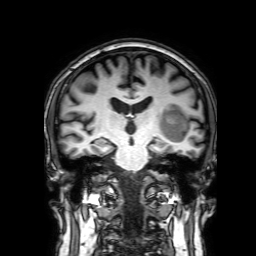
Q: What kind of scan is this?
A: 3 Tesla brain MRI.
Q: Series?
A: 3D T1-weighted with SENSE.
Study: ring-enhancing brain masses.